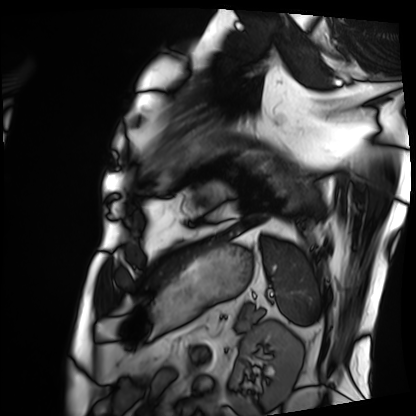
modality = cardiac MRI
subject group = patient